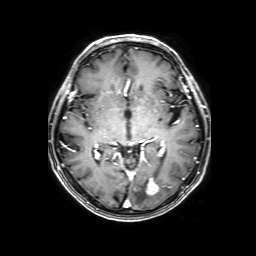
<scan>
<modality>
  <type>brain MRI</type>
  <field_strength>3T</field_strength>
</modality>
<series>3D T1-weighted with SENSE</series>
<study_topic>ring-enhancing brain masses</study_topic>
</scan>